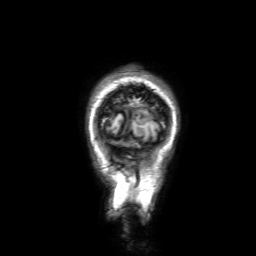
modality = 3 Tesla brain MRI | series = 3D T1-weighted with SENSE | study = ring-enhancing brain masses.